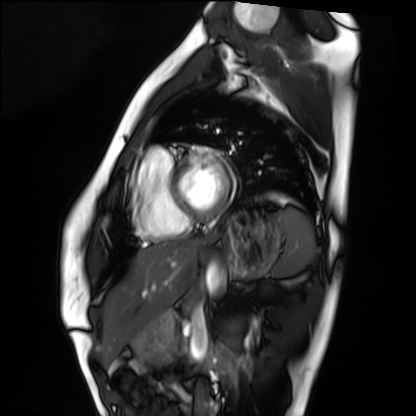
Q: What kind of scan is this?
A: Cardiac MRI.
Subject group: healthy volunteer.